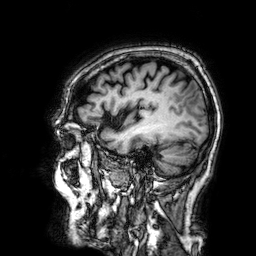
3 Tesla brain MRI.
Series: 3D T1-weighted.
Study: ring-enhancing brain masses.